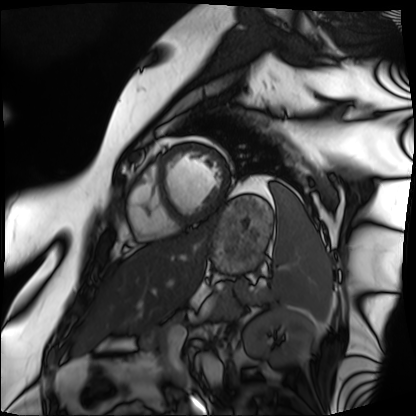
Cardiac MRI. Subject group: patient.